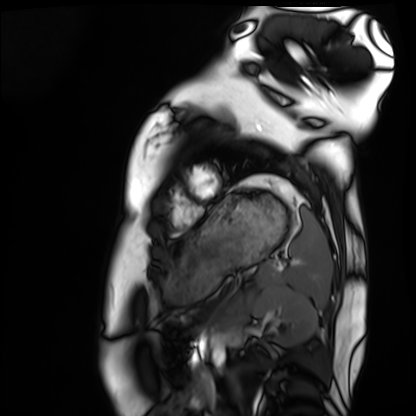
Cardiac MRI. Subject group: healthy volunteer.